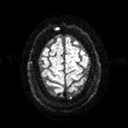
3 Tesla brain MRI. Series: diffusion tensor imaging (medium iso). Study: ring-enhancing brain masses.